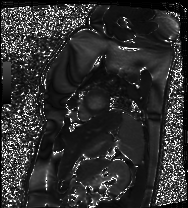
modality — cardiac MRI; subject group — patient.